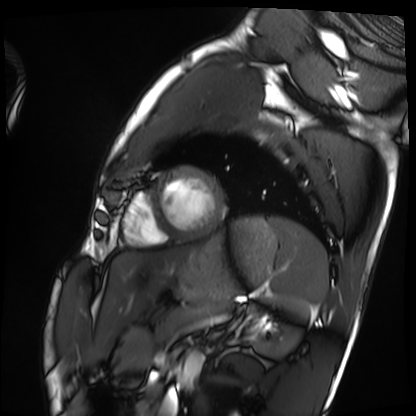
Summary:
Cardiac MRI. Subject group: healthy volunteer.